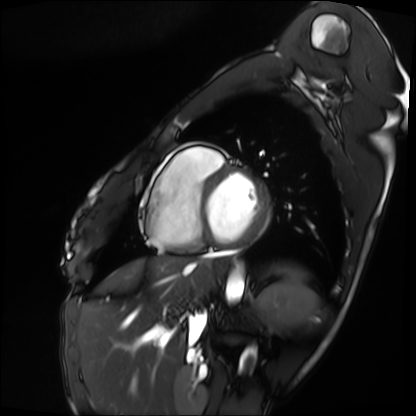
Case summary: Cardiac MRI. Subject group: patient.